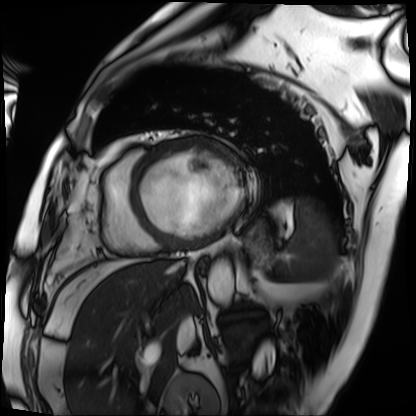
Summary:
Cardiac MRI. Subject group: patient.